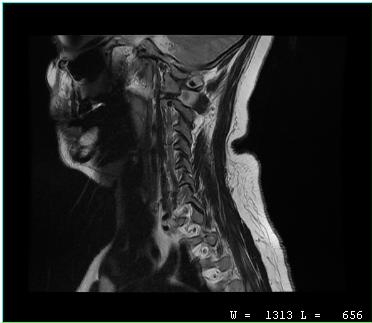
Case:
* modality · MRI of the cervical spine
* study · cervical spondylosis